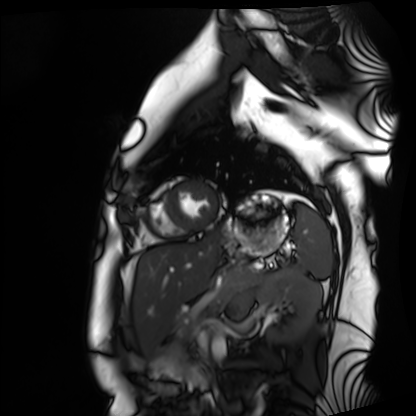
{
  "modality": "cardiac MRI",
  "cohort": "healthy volunteer"
}